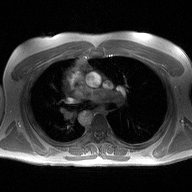
* modality · 2D phase-contrast cine MRI of the ascending aorta